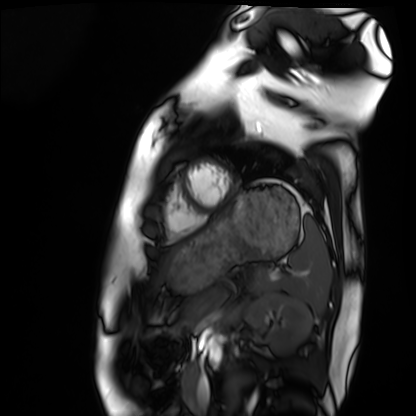
modality: cardiac MRI; subject group: healthy volunteer.